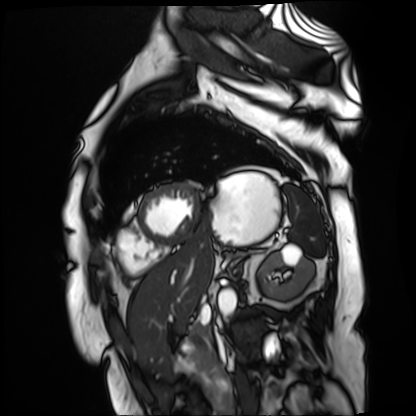
modality: cardiac MR image of the myocardium
subject cohort: cardiac patient